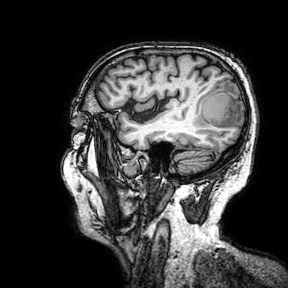
3 Tesla brain MRI. Series: 3D T1-weighted turbo field echo with SENSE. Study: ring-enhancing brain masses.